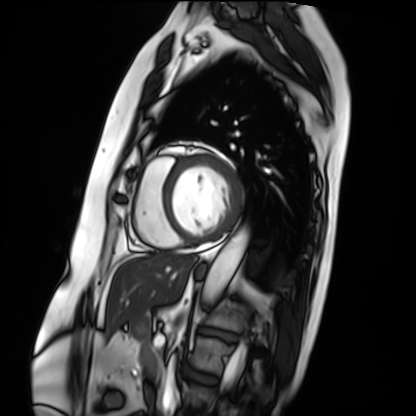
Cardiac MRI.
Subject group: patient.